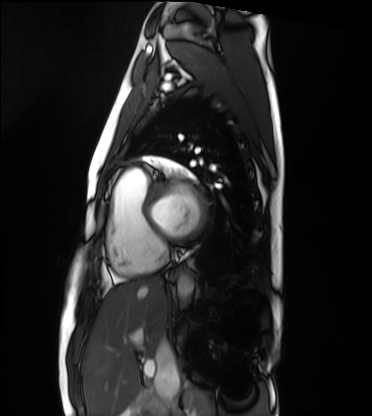
Clinical context: Cardiac MRI. Subject group: healthy volunteer.